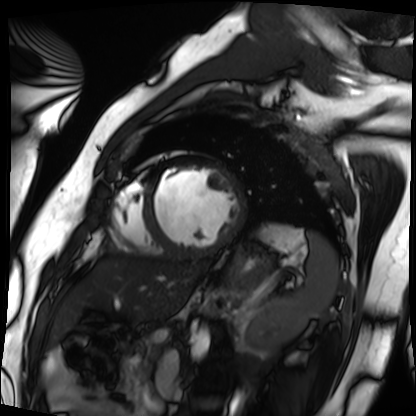
{"modality": "cardiac MRI", "cohort": "patient"}